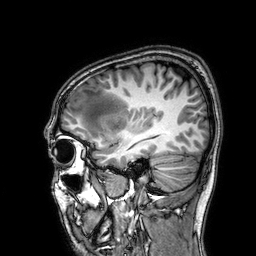
3 Tesla brain MRI. Series: 3D T1-weighted. Study: ring-enhancing brain masses.